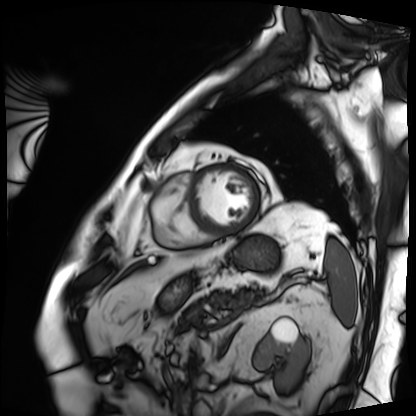
Summary:
Cardiac MRI. Subject group: patient.